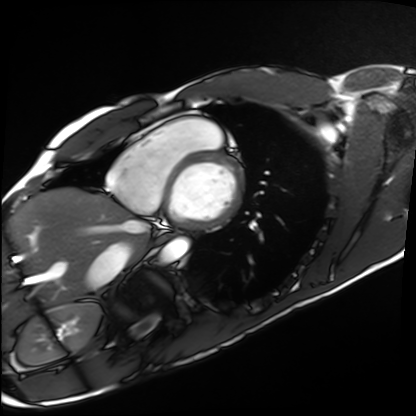
modality — cardiac MRI
subject group — healthy volunteer